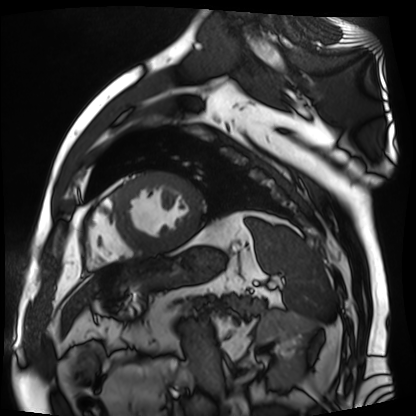
Case summary: Cardiac MR image of the myocardium. Subject cohort: cardiac patient.